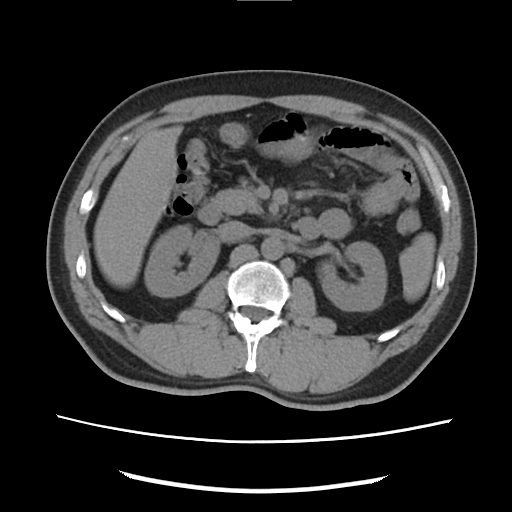
Multiphase abdominal CT, liver, non-contrast phase.
Patient: male, age 46.
History: cirrhosis, viral hepatitis.